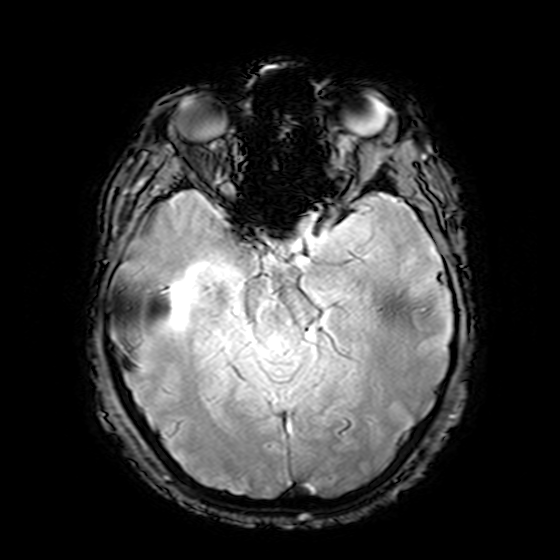
{"modality": {"type": "brain MRI", "field_strength": "3T"}, "series": "T2-weighted fast field echo", "study_topic": "ring-enhancing brain masses"}